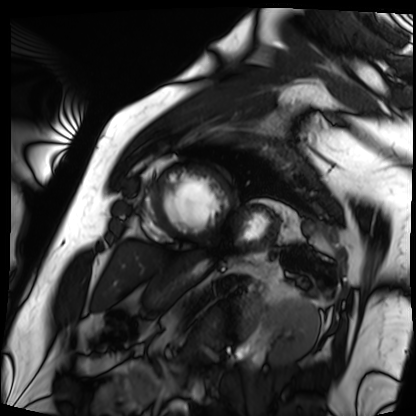
Cardiac MRI.
Subject group: patient.